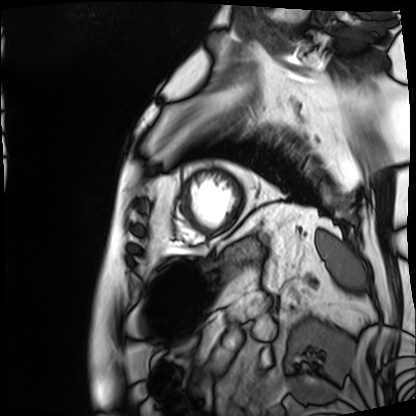
{
  "modality": "cardiac MRI",
  "cohort": "patient"
}